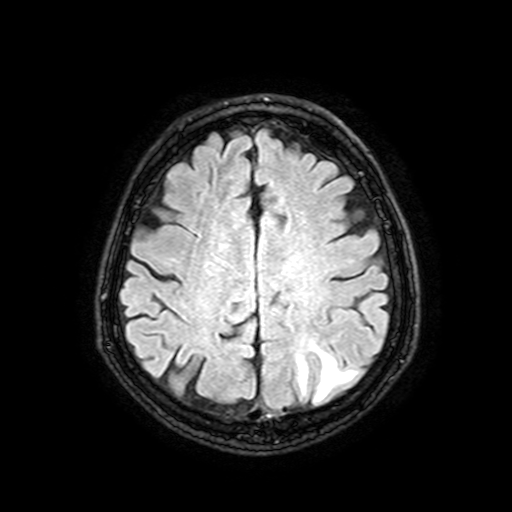
– modality — 3 Tesla brain MRI
– series — FLAIR with SPAIR, 3 mm
– study — ring-enhancing brain masses